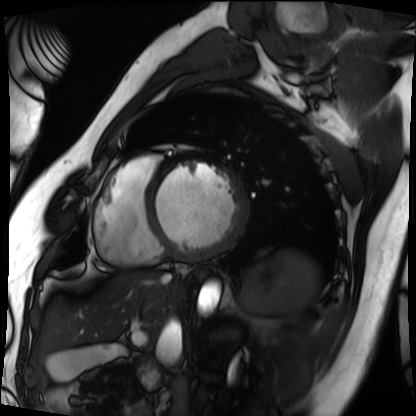
Summary: Cardiac MRI. Subject group: patient.